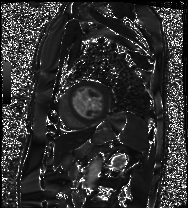
| field | value |
|---|---|
| modality | cardiac MRI |
| subject group | patient |